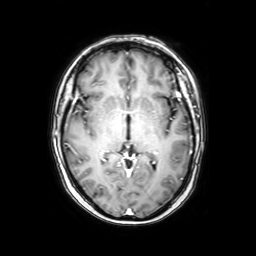
modality — 3 Tesla brain MRI | series — axial with contrast | study — ring-enhancing brain masses.